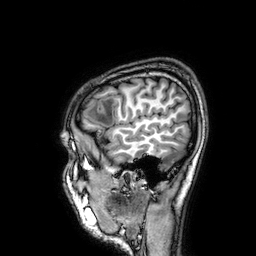
Summary: 3 Tesla brain MRI. Series: 3D T1-weighted. Study: ring-enhancing brain masses.